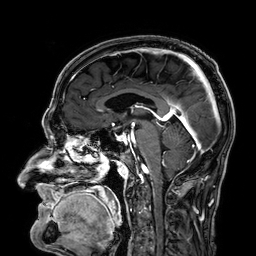
3 Tesla brain MRI. Series: 3D T1-weighted. Study: ring-enhancing brain masses.